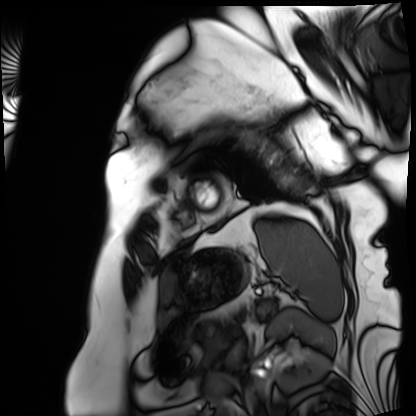
modality: cardiac MRI | subject group: patient.